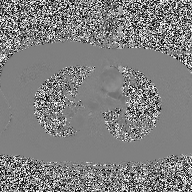
Q: What kind of scan is this?
A: 2D phase-contrast cine MRI of the ascending aorta.